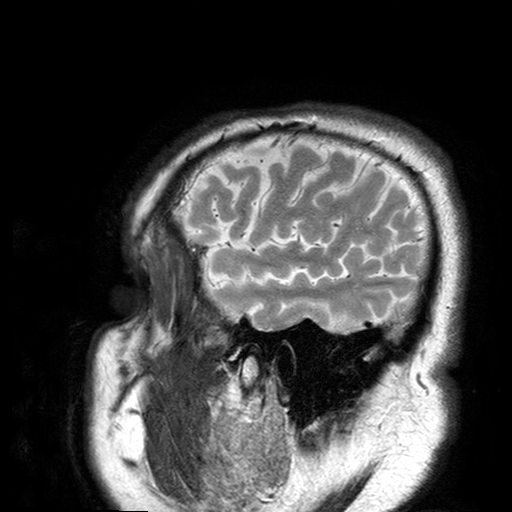
3 Tesla brain MRI. Series: T2-weighted turbo spin echo with SENSE. Study: ring-enhancing brain masses.